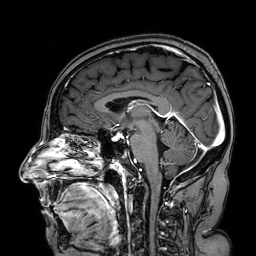
Q: What kind of scan is this?
A: 3 Tesla brain MRI.
Q: Series?
A: 3D T1-weighted turbo field echo with SENSE.
Study: ring-enhancing brain masses.